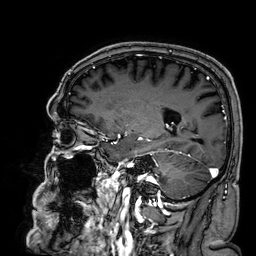
Q: What kind of scan is this?
A: 3 Tesla brain MRI.
Q: Series?
A: 3D T1-weighted.
Study: ring-enhancing brain masses.